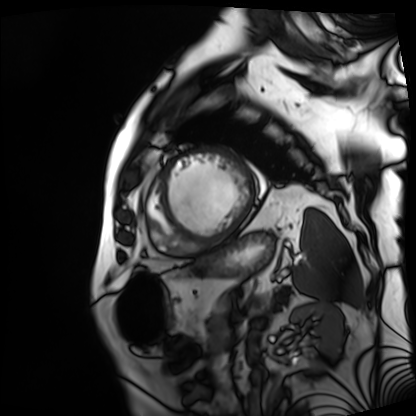
Clinical context:
Cardiac MRI. Subject group: patient.